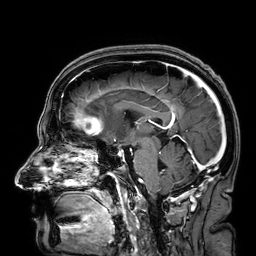
3 Tesla brain MRI.
Series: 3D T1-weighted.
Study: ring-enhancing brain masses.